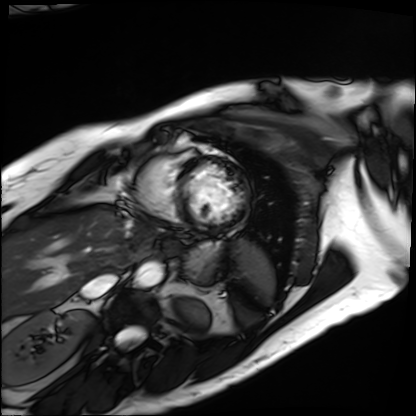
<scan>
<modality>cardiac MRI</modality>
<cohort>patient</cohort>
</scan>